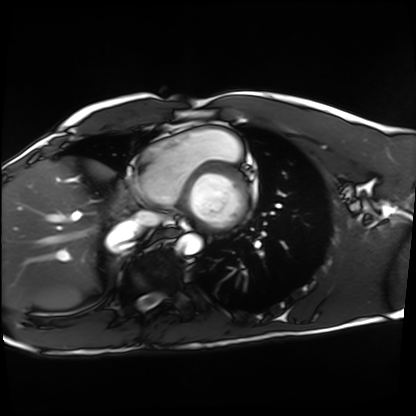
Q: What kind of scan is this?
A: Cardiac MRI.
Subject group: healthy volunteer.